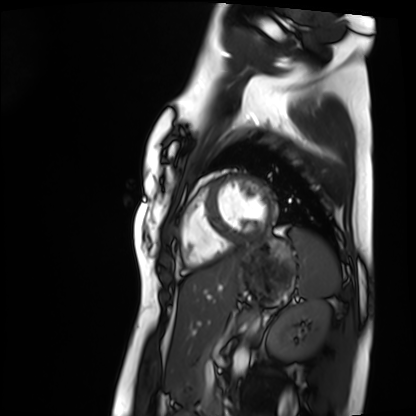
Cardiac MRI. Subject group: healthy volunteer.